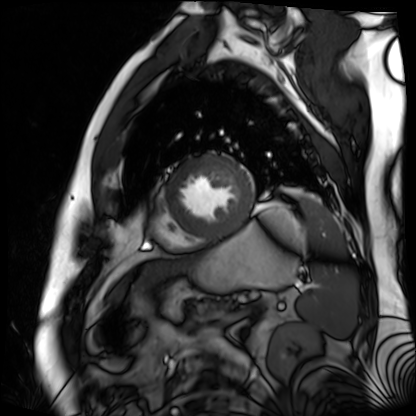
modality: cardiac MR image of the myocardium
subject cohort: cardiac patient